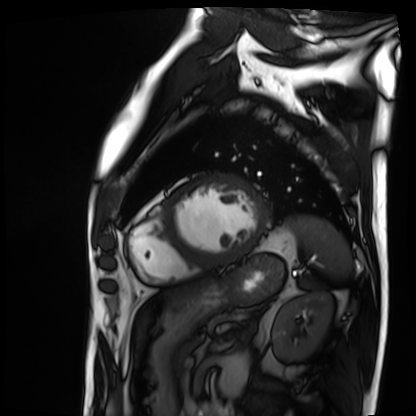
Cardiac MRI.
Subject group: patient.